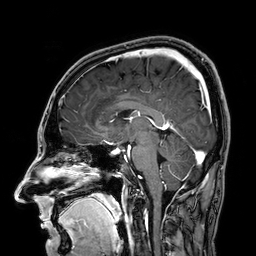
Summary:
3 Tesla brain MRI. Series: 3D T1-weighted. Study: ring-enhancing brain masses.